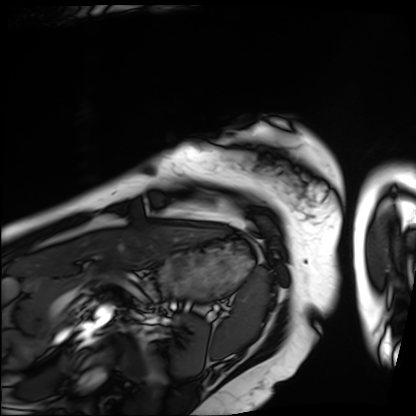
Cardiac MRI.
Subject group: patient.